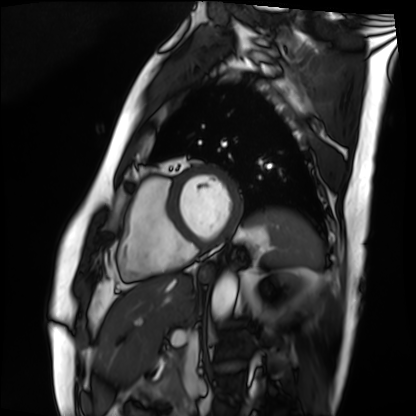
Q: What kind of scan is this?
A: Cardiac MRI.
Subject group: patient.